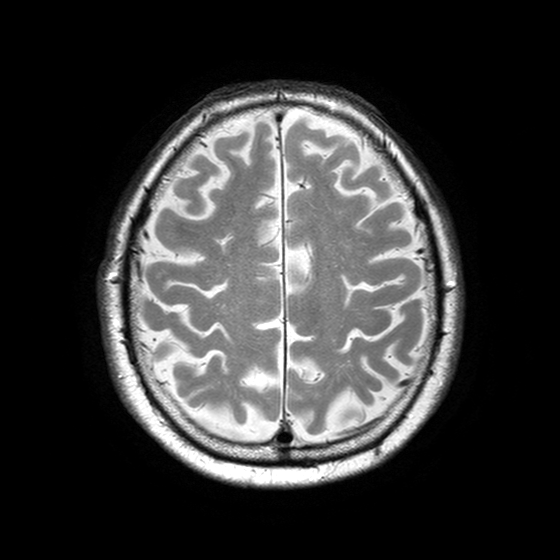
– modality — 3 Tesla brain MRI
– series — T2-weighted turbo spin echo with SENSE
– study — ring-enhancing brain masses